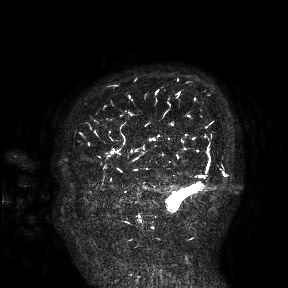
Q: What kind of scan is this?
A: 3 Tesla brain MRI.
Study: ring-enhancing brain masses.